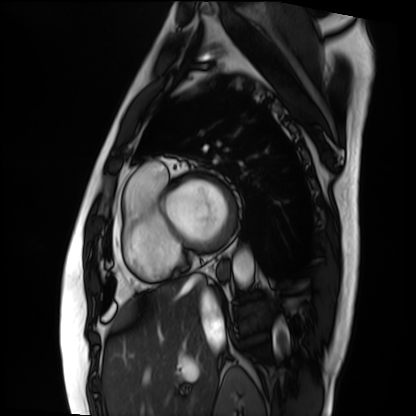
Q: What kind of scan is this?
A: Cardiac MRI.
Subject group: patient.